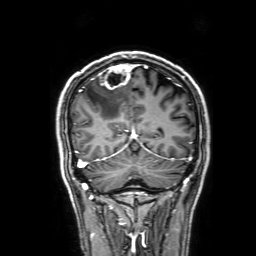
modality:
  type: brain MRI
  field_strength: 3T
study_topic: ring-enhancing brain masses